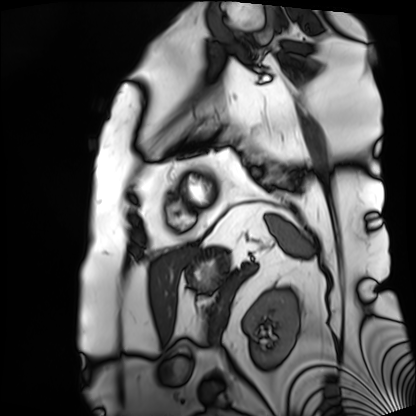
| field | value |
|---|---|
| modality | cardiac MRI |
| subject group | patient |